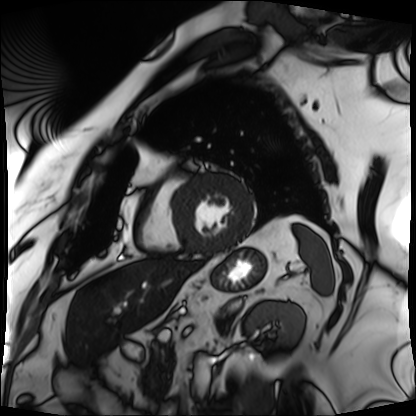
Clinical context: Cardiac MRI. Subject group: patient.